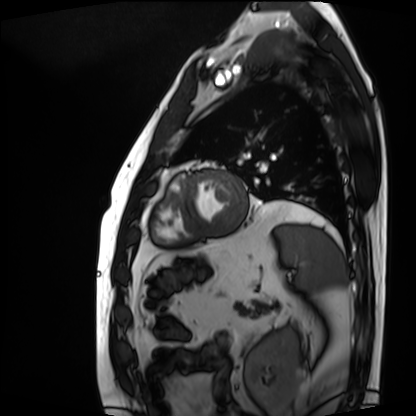
Case summary: Cardiac MRI. Subject group: patient.